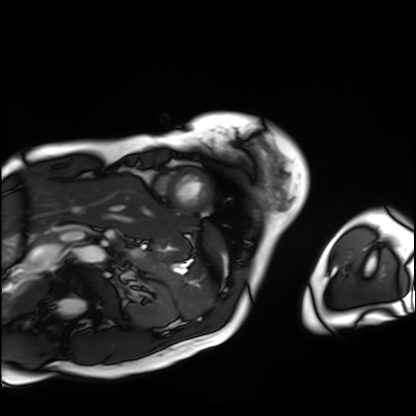
modality = cardiac MRI, subject group = patient.